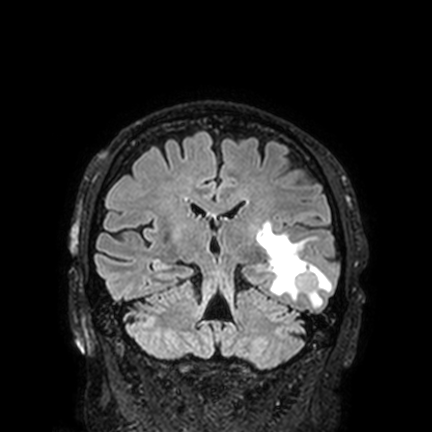
3 Tesla brain MRI. Series: FLAIR VISTA with SENSE. Study: ring-enhancing brain masses.